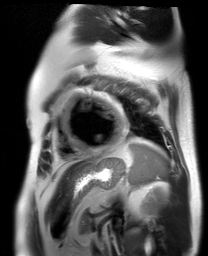
Q: What kind of scan is this?
A: Cardiac MR image of the myocardium.
Subject cohort: cardiac patient.